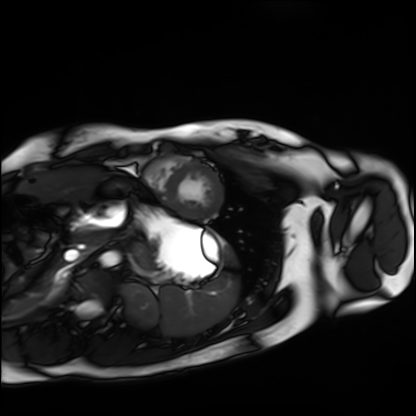
Cardiac MRI.
Subject group: healthy volunteer.